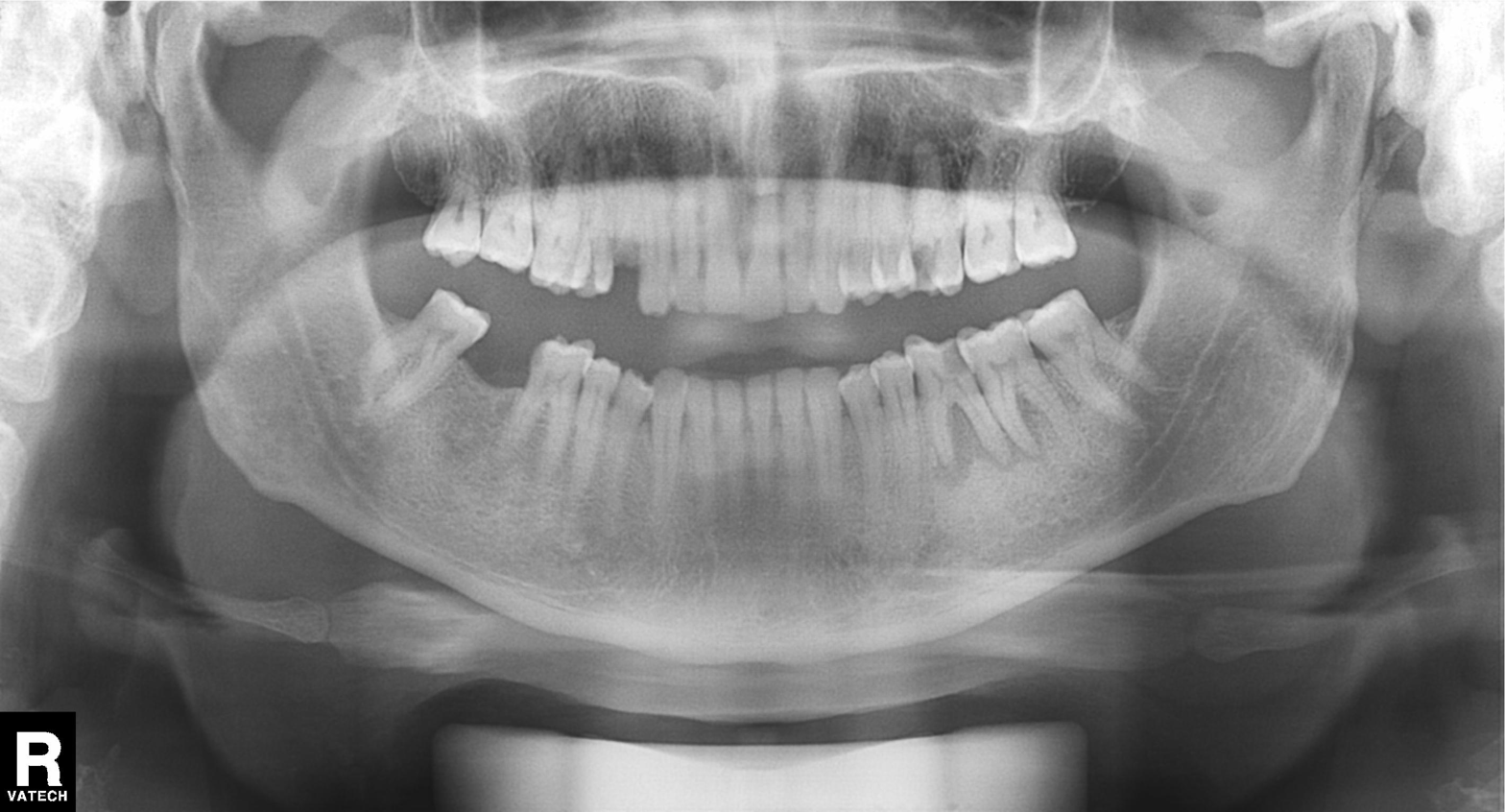
Panoramic dental radiograph (orthopantomogram).
Finding: tooth impaction.